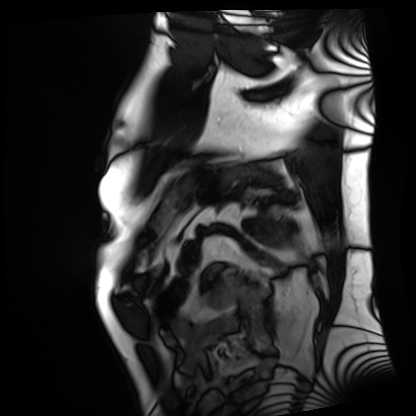
Clinical context:
Cardiac MRI. Subject group: patient.